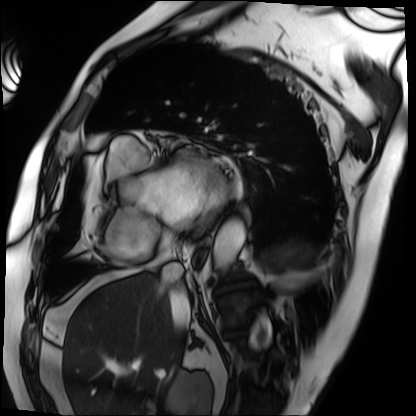
• modality — cardiac MRI
• subject group — patient